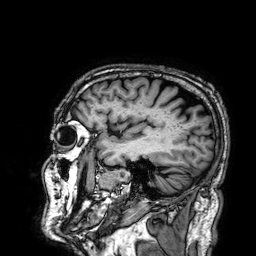
3 Tesla brain MRI. Series: 3D T1-weighted. Study: ring-enhancing brain masses.